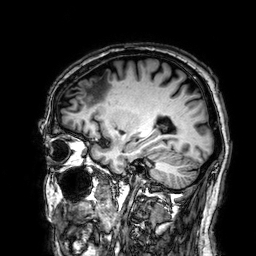
3 Tesla brain MRI. Series: 3D T1-weighted. Study: ring-enhancing brain masses.